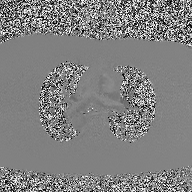
<study>
<modality>
  <type>2D phase-contrast cine MRI</type>
  <region>ascending aorta</region>
  <reconstruction>high-resolution GRAPPA acquisition</reconstruction>
</modality>
</study>